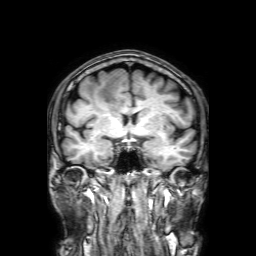
- modality — 3 Tesla brain MRI
- series — 3D T1-weighted with SENSE
- study — ring-enhancing brain masses